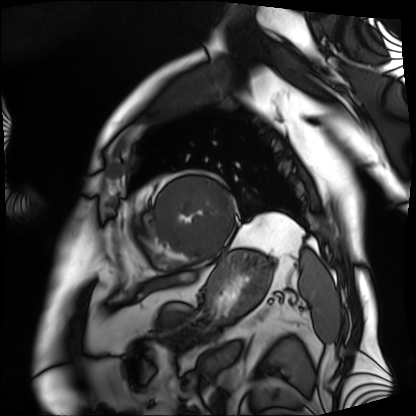
Case:
– modality · cardiac MRI
– subject group · patient